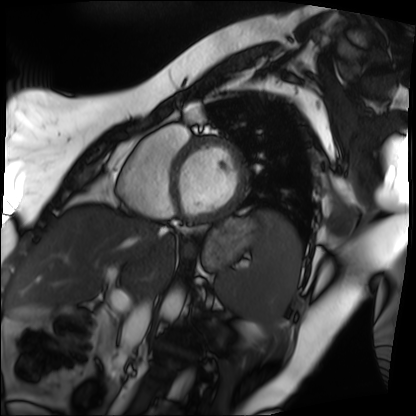
Clinical context:
Cardiac MRI. Subject group: patient.